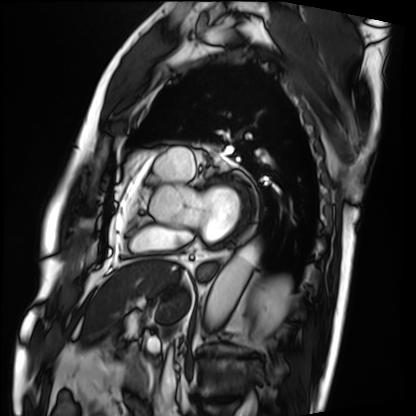
Q: What kind of scan is this?
A: Cardiac MRI.
Subject group: patient.